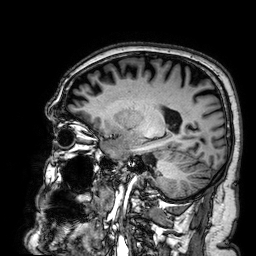
* modality: 3 Tesla brain MRI
* series: 3D T1-weighted
* study: ring-enhancing brain masses